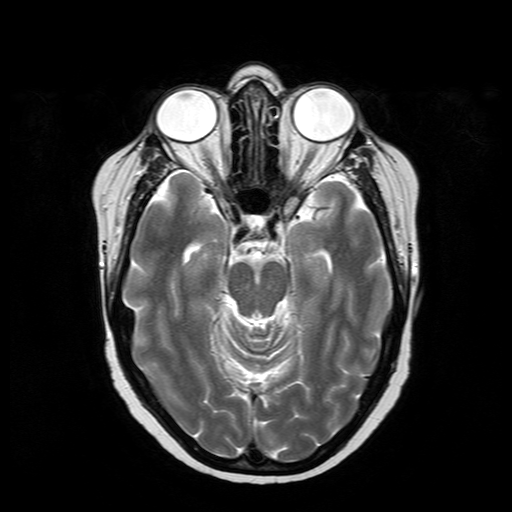
modality: 3 Tesla brain MRI; series: T2-weighted turbo spin echo; study: ring-enhancing brain masses.